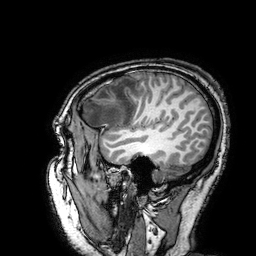
Q: What kind of scan is this?
A: 3 Tesla brain MRI.
Q: Series?
A: 3D T1-weighted turbo field echo with SENSE.
Study: ring-enhancing brain masses.